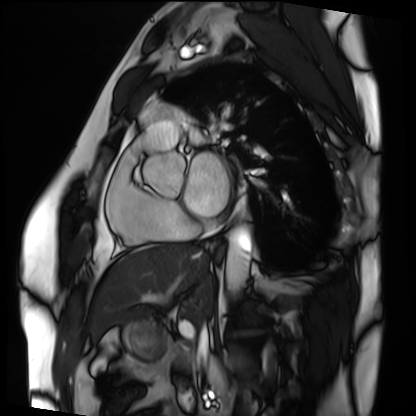
Cardiac MRI. Subject group: patient.